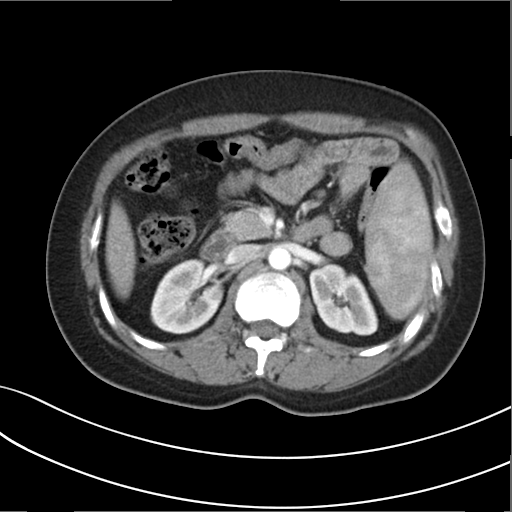
Summary:
Multiphase abdominal CT, liver, arterial phase. Patient: female, age 34.